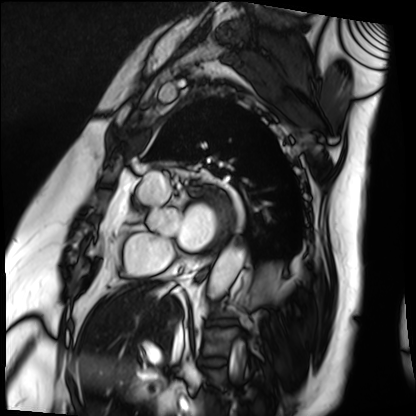
Cardiac MRI. Subject group: patient.